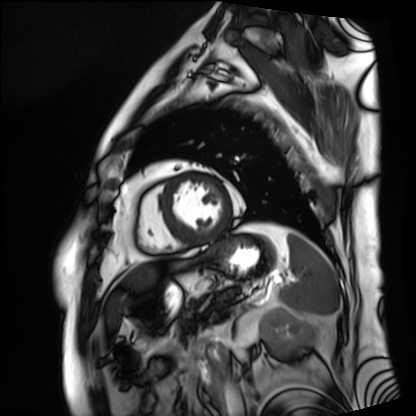
  modality: cardiac MRI
  cohort: patient